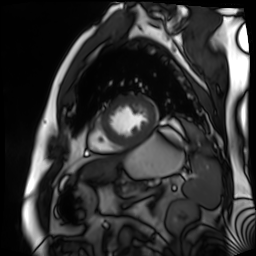
Cardiac MR image of the myocardium. Subject cohort: cardiac patient.